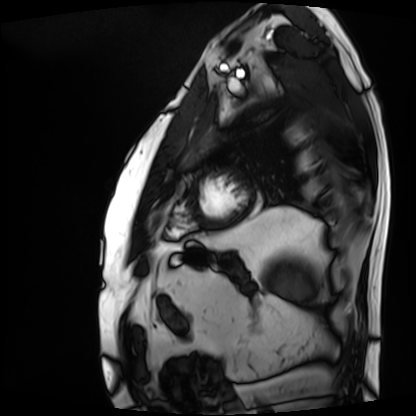
Summary:
Cardiac MRI. Subject group: patient.